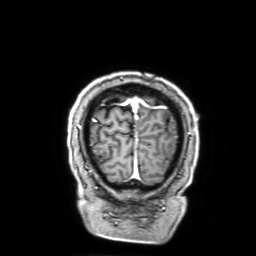
Clinical context:
3 Tesla brain MRI. Series: 3D T1-weighted with SENSE. Study: ring-enhancing brain masses.